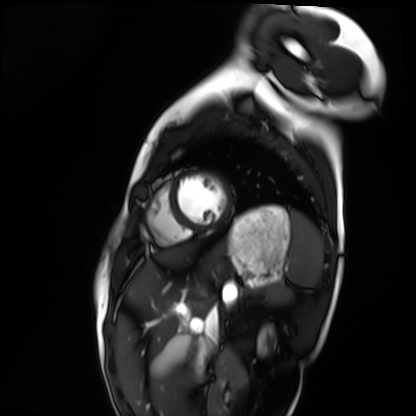
modality: cardiac MRI; subject group: healthy volunteer.